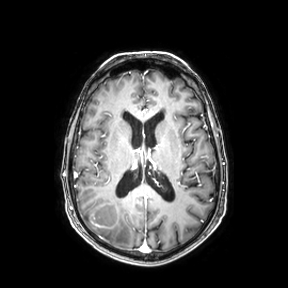
modality:
  type: brain MRI
  field_strength: 3T
series: axial
study_topic: ring-enhancing brain masses